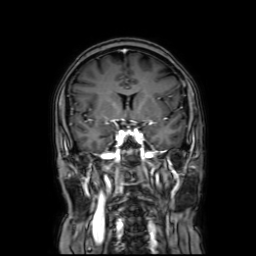
Q: What kind of scan is this?
A: 3 Tesla brain MRI.
Study: ring-enhancing brain masses.